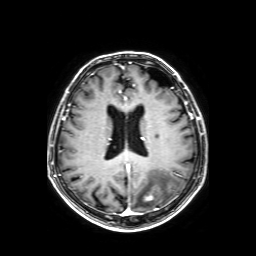
Summary: 3 Tesla brain MRI. Series: axial T1-weighted fusion image. Study: ring-enhancing brain masses.